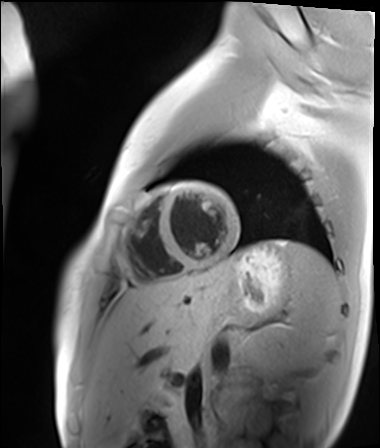
<scan>
  <modality>cardiac MR image of the myocardium</modality>
  <cohort>healthy volunteer</cohort>
</scan>